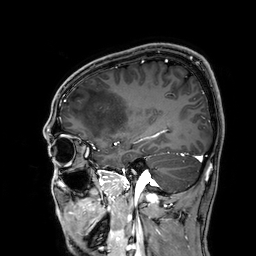
{
  "modality": {
    "type": "brain MRI",
    "field_strength": "3T"
  },
  "series": "3D T1-weighted",
  "study_topic": "ring-enhancing brain masses"
}